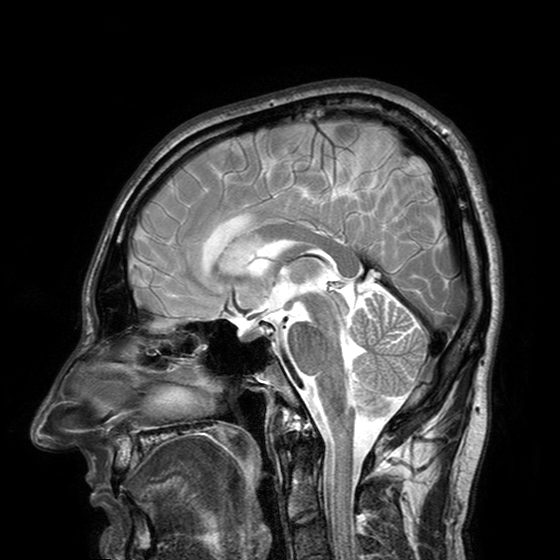
modality:
  type: brain MRI
  field_strength: 3T
series: T2-weighted turbo spin echo with SENSE
study_topic: ring-enhancing brain masses